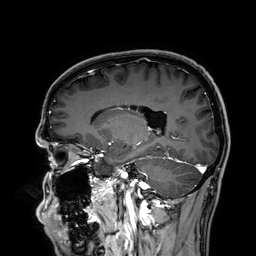
3 Tesla brain MRI. Series: 3D T1-weighted. Study: ring-enhancing brain masses.